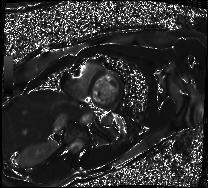
modality: cardiac MRI
subject group: patient